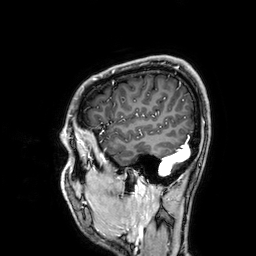
<case>
<modality>
  <type>brain MRI</type>
  <field_strength>3T</field_strength>
</modality>
<series>3D T1-weighted</series>
<study_topic>ring-enhancing brain masses</study_topic>
</case>